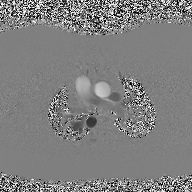
2D phase-contrast cine MRI of the ascending aorta, high-resolution GRAPPA acquisition.